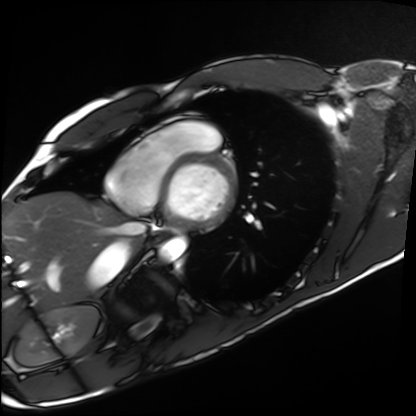
Cardiac MRI. Subject group: healthy volunteer.